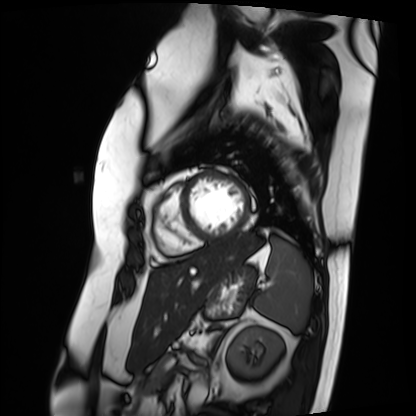
Summary:
Cardiac MRI. Subject group: patient.